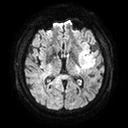
modality=3 Tesla brain MRI | series=diffusion tensor imaging (medium iso) | study=ring-enhancing brain masses.